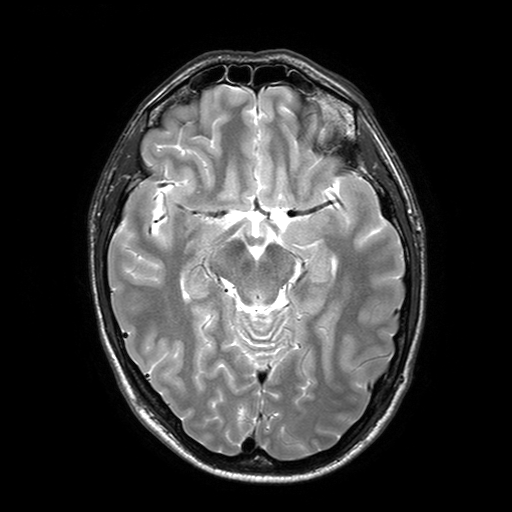
{
  "modality": {
    "type": "brain MRI",
    "field_strength": "3T"
  },
  "series": "T2-weighted turbo spin echo with SENSE",
  "study_topic": "ring-enhancing brain masses"
}